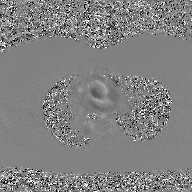
{
  "modality": {
    "type": "2D phase-contrast cine MRI",
    "region": "ascending aorta",
    "reconstruction": "GAN super-resolution reconstruction"
  }
}